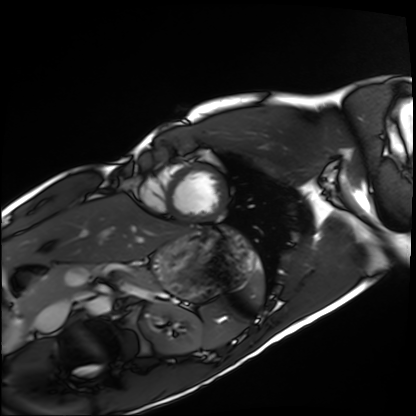
modality: cardiac MRI | subject group: healthy volunteer.